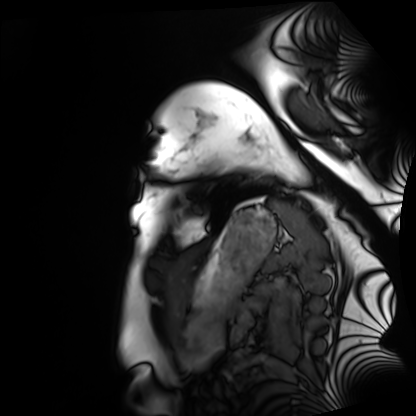
Q: What kind of scan is this?
A: Cardiac MRI.
Subject group: healthy volunteer.